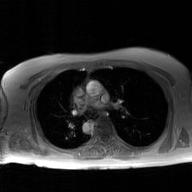
| field | value |
|---|---|
| modality | 2D phase-contrast cine MRI of the ascending aorta, GAN super-resolution reconstruction |